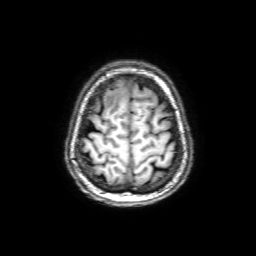
modality = 3 Tesla brain MRI | series = 3D T1-weighted with SENSE | study = ring-enhancing brain masses.